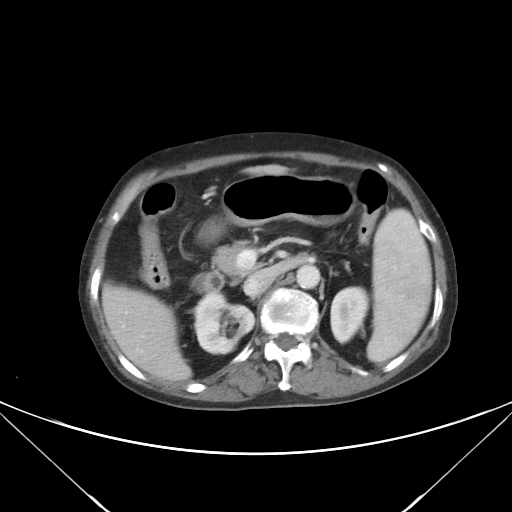
* modality · multiphase abdominal CT, liver, portal venous phase
* patient · female, age 70
* history · viral hepatitis